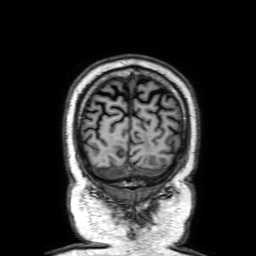
modality: 3 Tesla brain MRI
series: 3D T1-weighted with SENSE
study: ring-enhancing brain masses